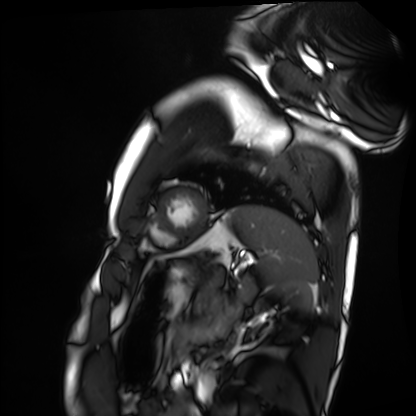
Summary:
Cardiac MRI. Subject group: healthy volunteer.